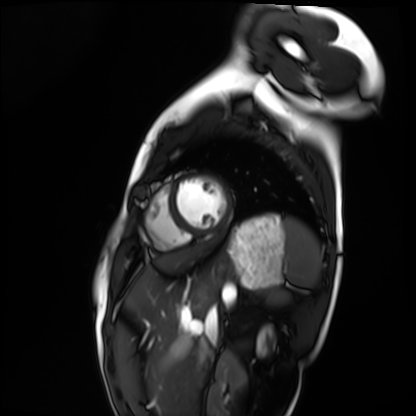
Cardiac MRI. Subject group: healthy volunteer.